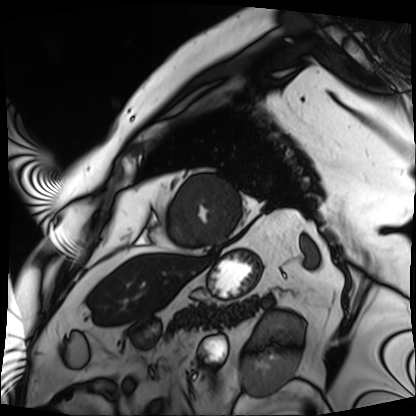
* modality · cardiac MRI
* subject group · patient